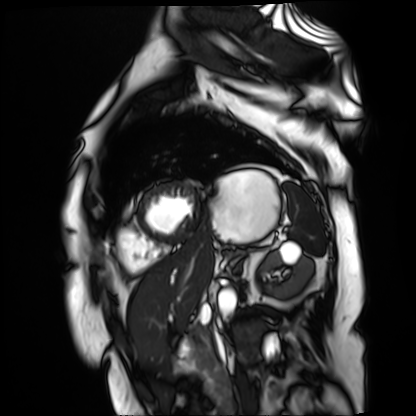
{"modality": "cardiac MR image of the myocardium", "cohort": "cardiac patient"}